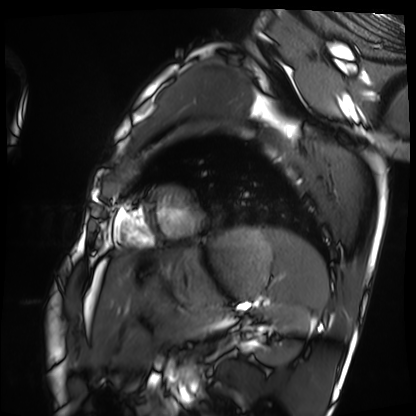
modality: cardiac MRI; subject group: healthy volunteer.